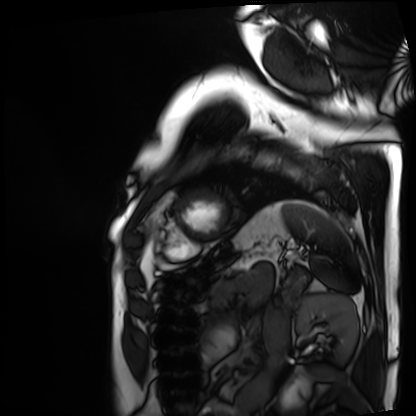
{"modality": "cardiac MRI", "cohort": "patient"}